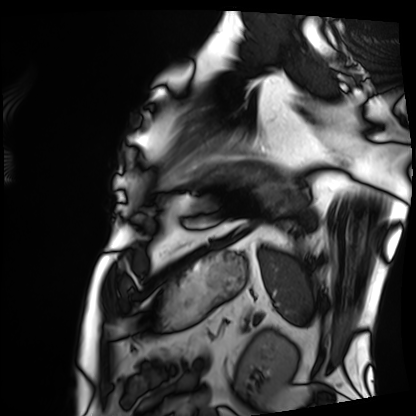
Q: What kind of scan is this?
A: Cardiac MRI.
Subject group: patient.